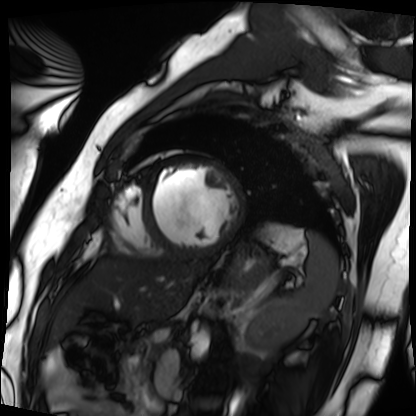
Cardiac MRI. Subject group: patient.